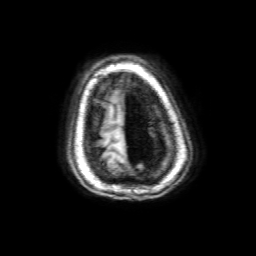
modality = 3 Tesla brain MRI
series = 3D T1-weighted with SENSE
study = ring-enhancing brain masses